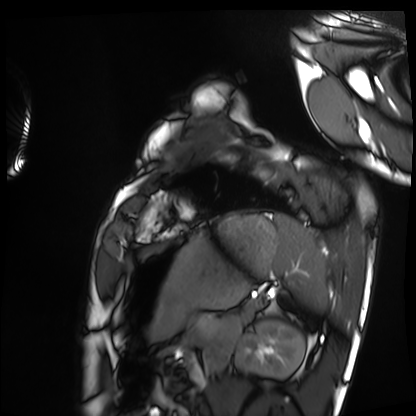
{
  "modality": "cardiac MRI",
  "cohort": "healthy volunteer"
}